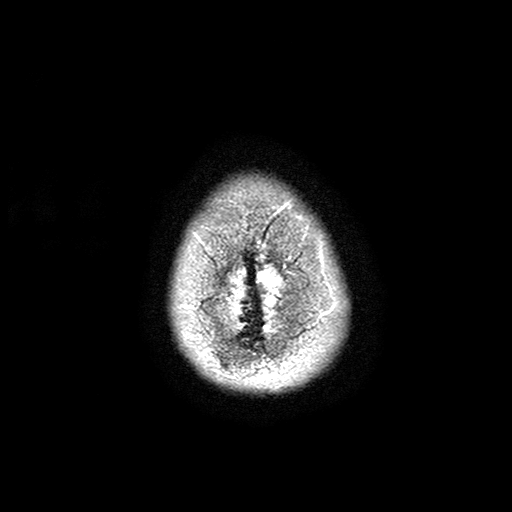
{
  "modality": {
    "type": "brain MRI",
    "field_strength": "3T"
  },
  "series": "T2-weighted turbo spin echo with SENSE",
  "study_topic": "ring-enhancing brain masses"
}